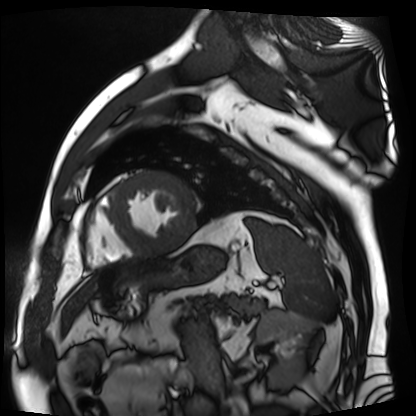
Cardiac MR image of the myocardium. Subject cohort: cardiac patient.